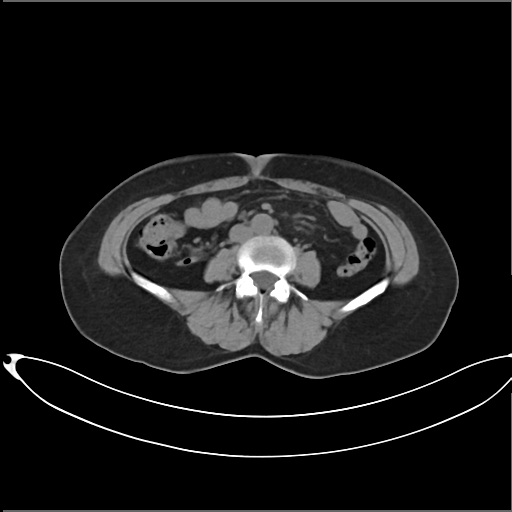
| field | value |
|---|---|
| modality | multiphase abdominal CT, liver, non-contrast phase |
| patient | female, age 60 |